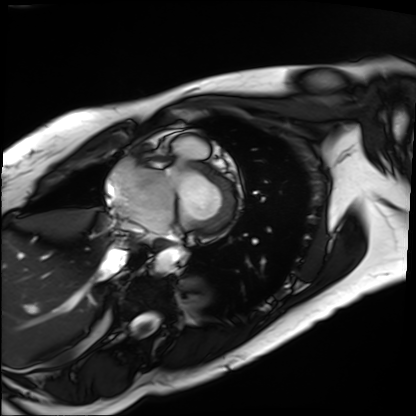
Cardiac MRI. Subject group: patient.